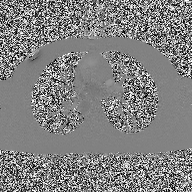
2D phase-contrast cine MRI of the ascending aorta, high-resolution GRAPPA acquisition.